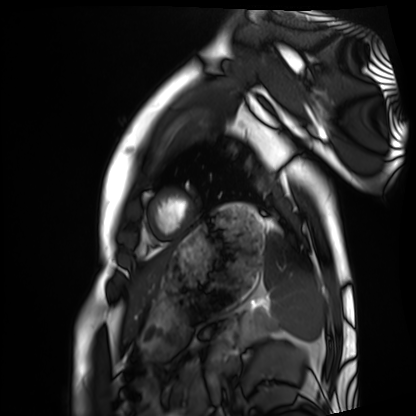
Cardiac MRI. Subject group: healthy volunteer.